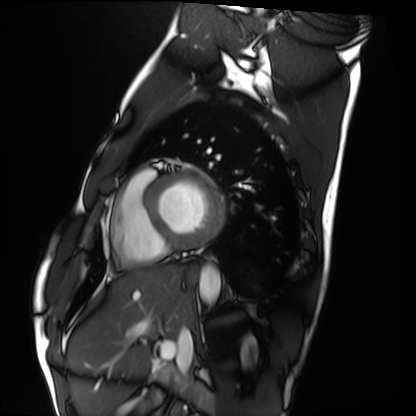
Cardiac MRI. Subject group: healthy volunteer.